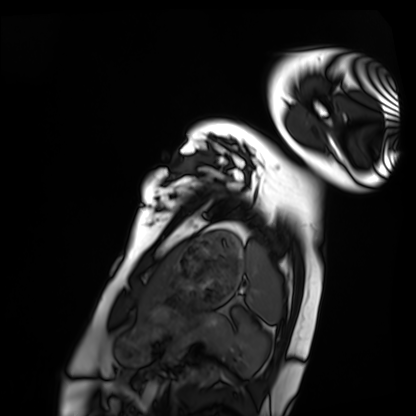
Cardiac MRI.
Subject group: healthy volunteer.